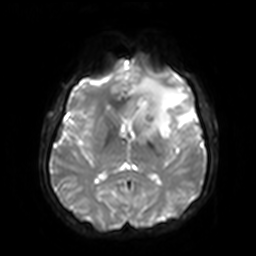
3 Tesla brain MRI. Series: diffusion-weighted imaging with SENSE (WIP). Study: ring-enhancing brain masses.